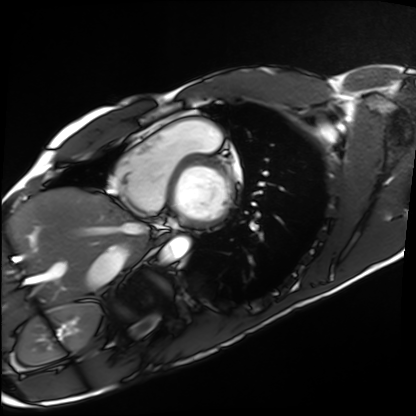
Cardiac MRI. Subject group: healthy volunteer.